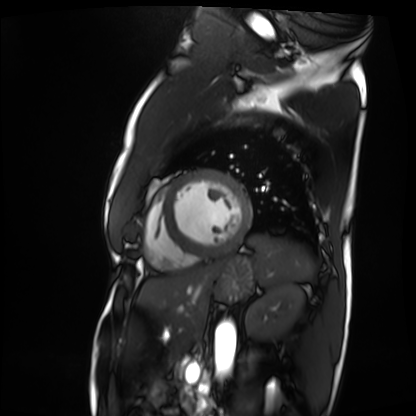
- modality: cardiac MRI
- subject group: patient